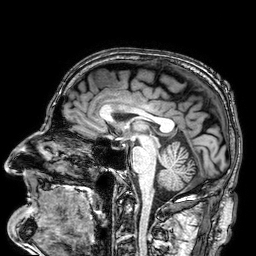
Q: What kind of scan is this?
A: 3 Tesla brain MRI.
Q: Series?
A: 3D T1-weighted.
Study: ring-enhancing brain masses.